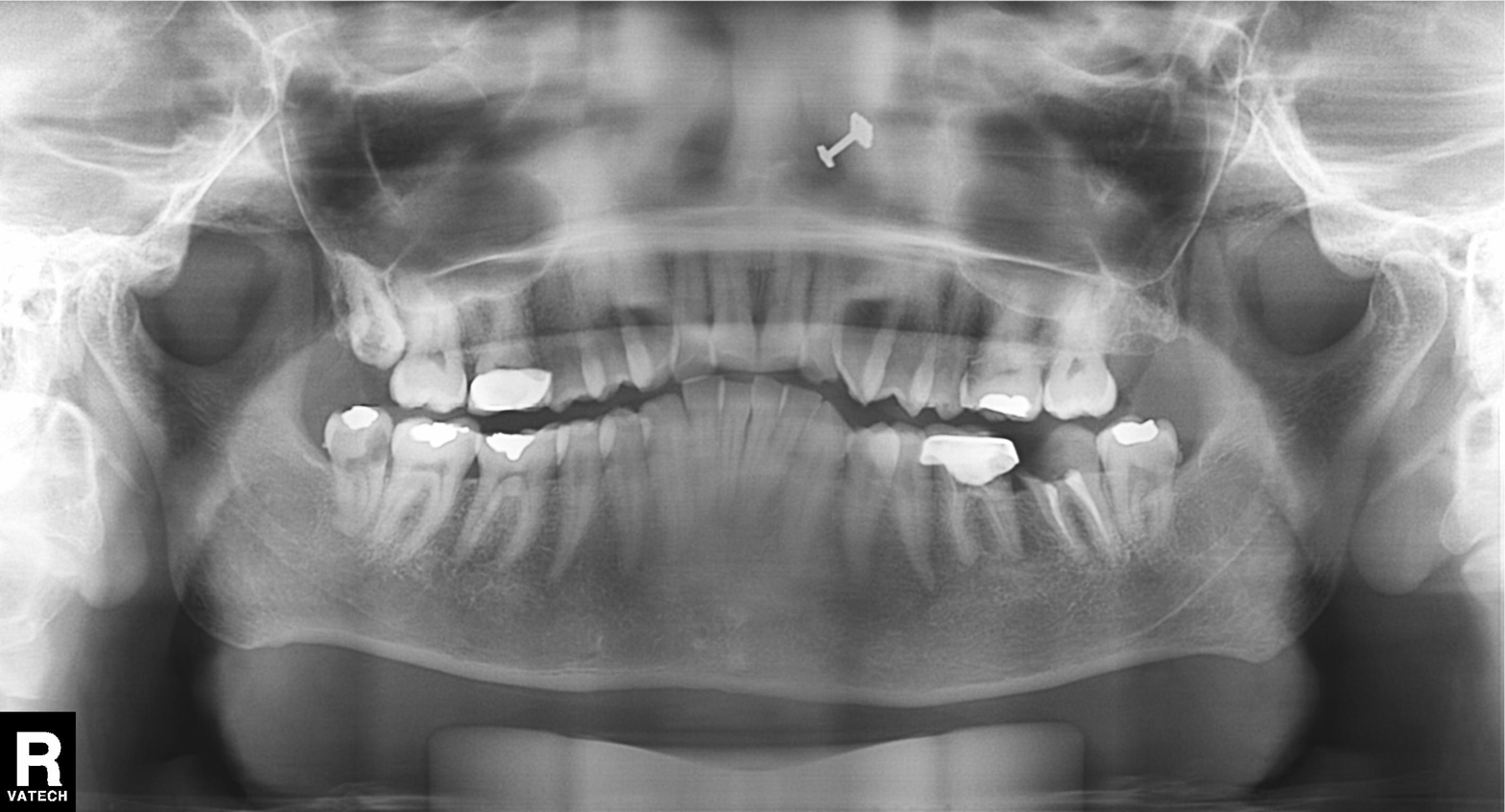
  modality: panoramic dental radiograph (orthopantomogram)
  finding: tooth impaction